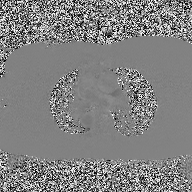
| field | value |
|---|---|
| modality | 2D phase-contrast cine MRI of the ascending aorta |